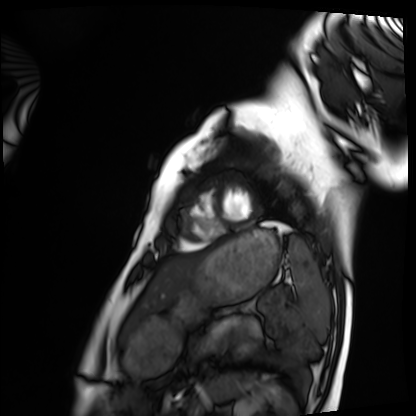
Summary: Cardiac MRI. Subject group: healthy volunteer.